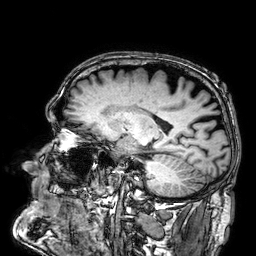
3 Tesla brain MRI. Series: 3D T1-weighted. Study: ring-enhancing brain masses.